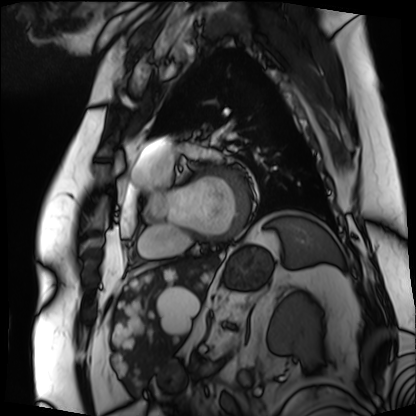
Cardiac MRI. Subject group: patient.